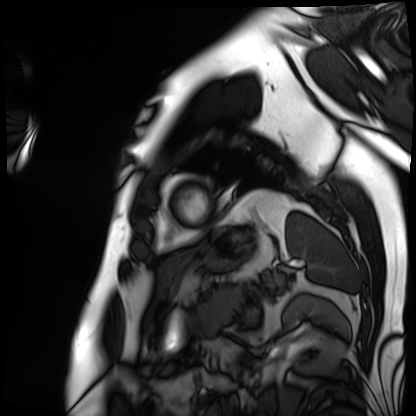
Case summary:
Cardiac MRI. Subject group: patient.